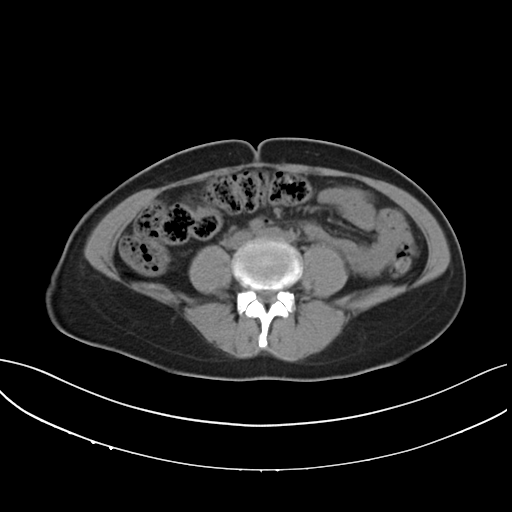
* modality: multiphase abdominal CT, liver, non-contrast phase
* patient: female, age 42